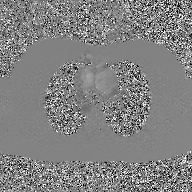
  modality:
    type: 2D phase-contrast cine MRI
    region: ascending aorta
    reconstruction: GAN super-resolution reconstruction